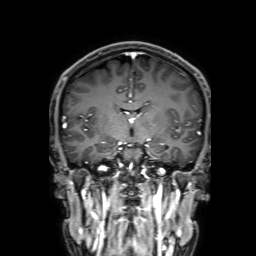
| field | value |
|---|---|
| modality | 3 Tesla brain MRI |
| series | 3D T1-weighted with SENSE |
| study | ring-enhancing brain masses |